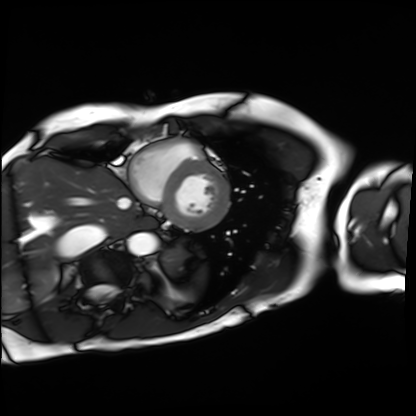
modality=cardiac MRI
subject group=patient